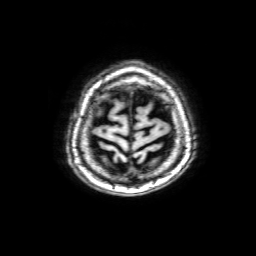
modality — 3 Tesla brain MRI
series — 3D T1-weighted with SENSE
study — ring-enhancing brain masses